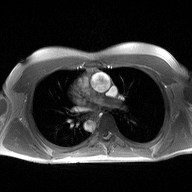
Case summary:
2D phase-contrast cine MRI of the ascending aorta, high-resolution GRAPPA acquisition.